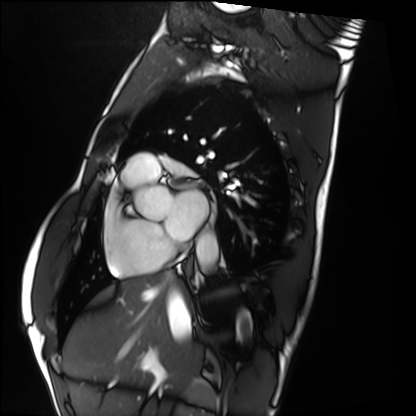
Cardiac MRI.
Subject group: healthy volunteer.